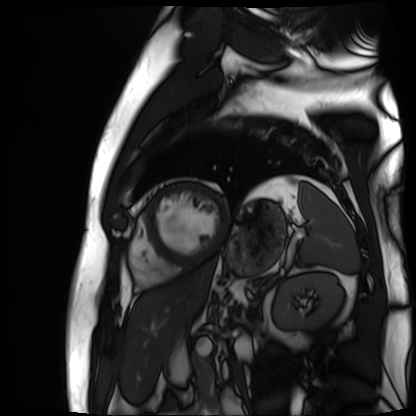
Cardiac MR image of the myocardium. Subject cohort: cardiac patient.